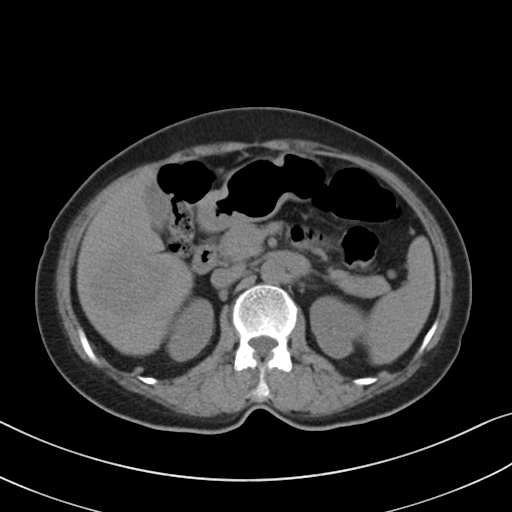
modality=multiphase abdominal CT, liver, non-contrast phase | patient=female, age 68.